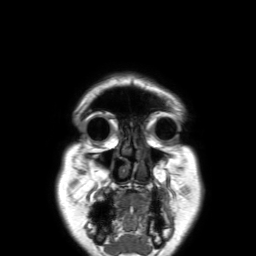
Clinical context:
3 Tesla brain MRI. Series: 3D T1-weighted TFE with SENSE. Study: ring-enhancing brain masses.